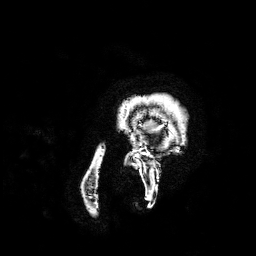
3 Tesla brain MRI. Series: 3D T1-weighted turbo field echo with SENSE. Study: ring-enhancing brain masses.